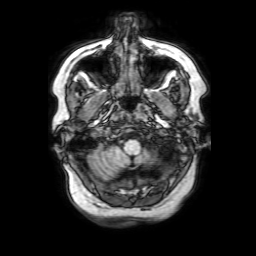
modality: 3 Tesla brain MRI
study: ring-enhancing brain masses